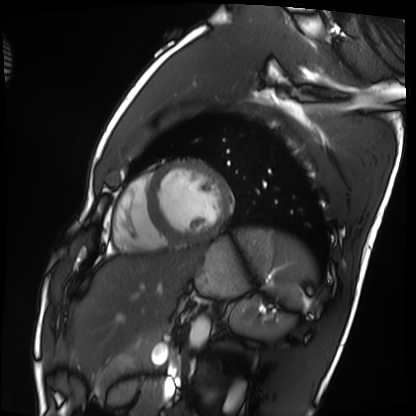
Summary:
Cardiac MRI. Subject group: healthy volunteer.